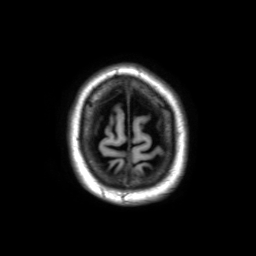
Q: What kind of scan is this?
A: 3 Tesla brain MRI.
Q: Series?
A: 3D T1-weighted TFE with SENSE.
Study: ring-enhancing brain masses.